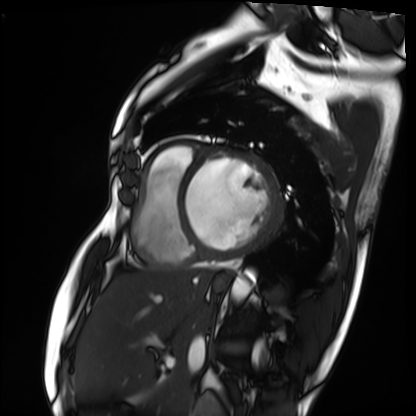
<record>
  <modality>cardiac MRI</modality>
  <cohort>patient</cohort>
</record>